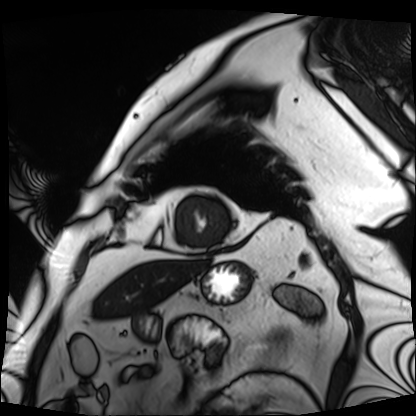
Cardiac MRI. Subject group: patient.